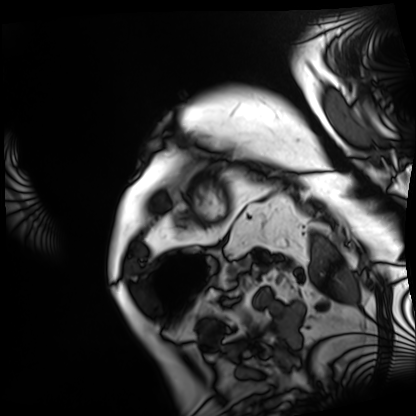
Clinical context: Cardiac MRI. Subject group: patient.